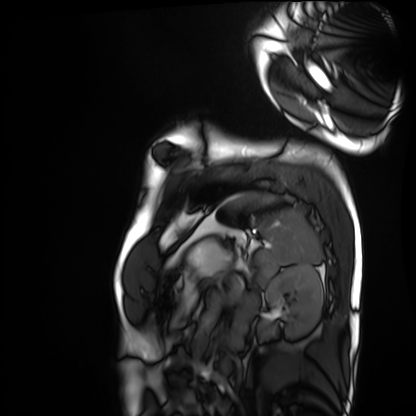
Q: What kind of scan is this?
A: Cardiac MRI.
Subject group: healthy volunteer.